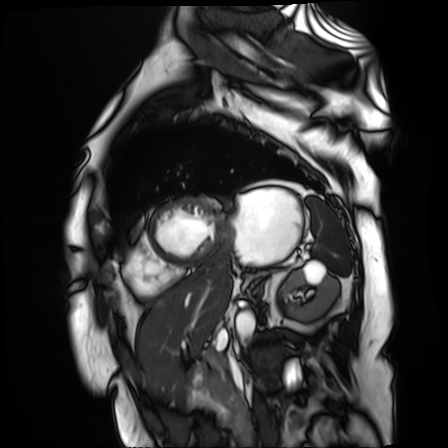
Cardiac MR image of the myocardium. Subject cohort: cardiac patient.